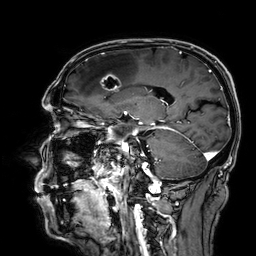
3 Tesla brain MRI.
Series: 3D T1-weighted.
Study: ring-enhancing brain masses.